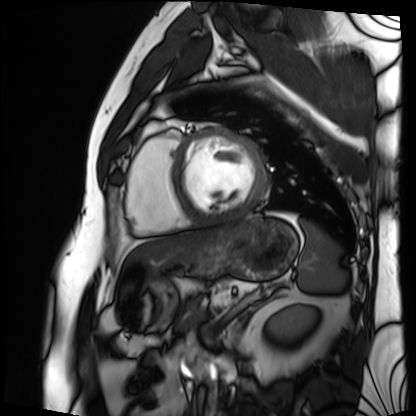
– modality · cardiac MRI
– subject group · patient